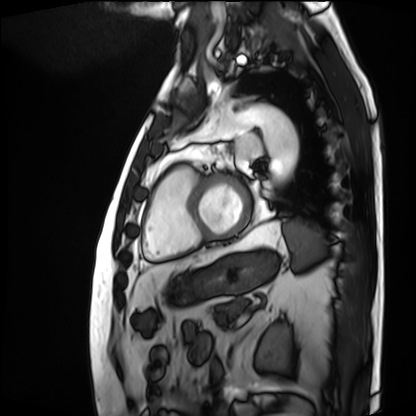
Summary:
Cardiac MRI. Subject group: patient.